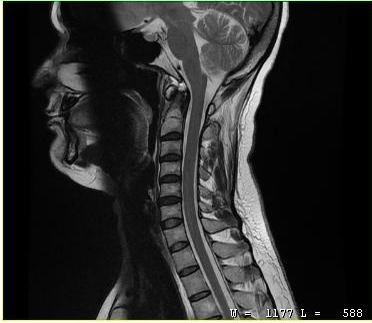
{
  "modality": {
    "type": "cervical spine MRI"
  },
  "study_topic": "cervical spondylosis"
}